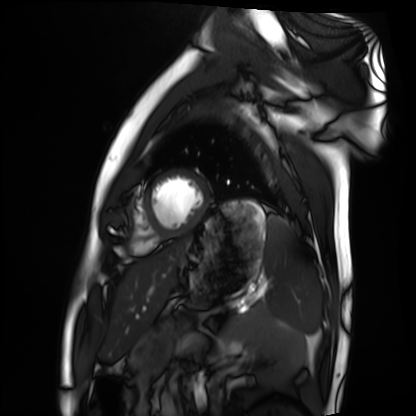
Cardiac MRI.
Subject group: healthy volunteer.